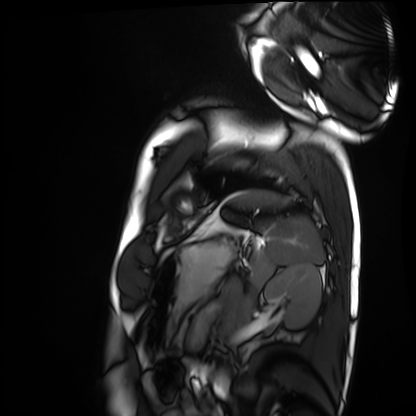
Q: What kind of scan is this?
A: Cardiac MRI.
Subject group: healthy volunteer.